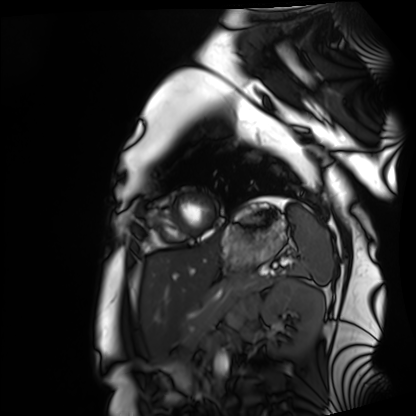
  modality: cardiac MRI
  cohort: healthy volunteer